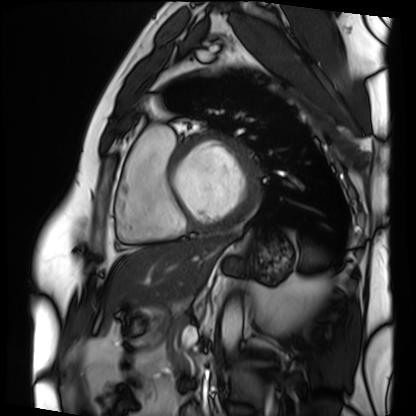
- modality: cardiac MRI
- subject group: patient